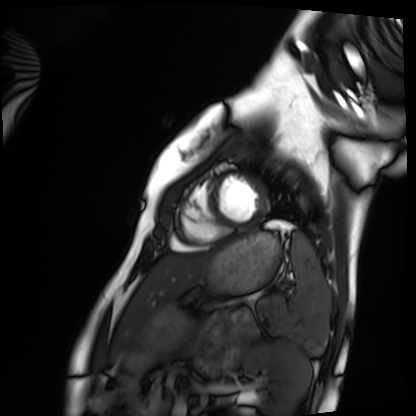
modality: cardiac MRI | subject group: healthy volunteer.